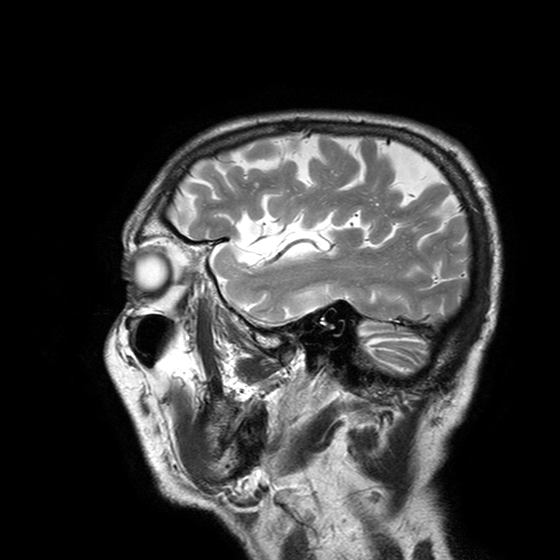
Case summary: 3 Tesla brain MRI. Series: T2-weighted turbo spin echo with SENSE. Study: ring-enhancing brain masses.